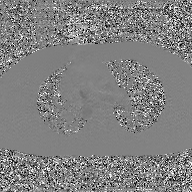
modality = 2D phase-contrast cine MRI of the ascending aorta, GAN super-resolution reconstruction.